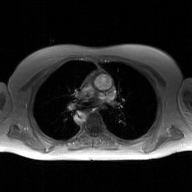
2D phase-contrast cine MRI of the ascending aorta, GAN super-resolution reconstruction.